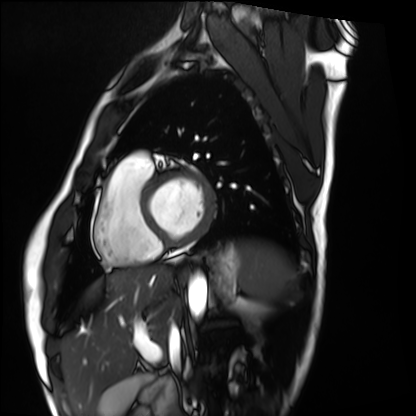
modality = cardiac MRI; subject group = healthy volunteer.